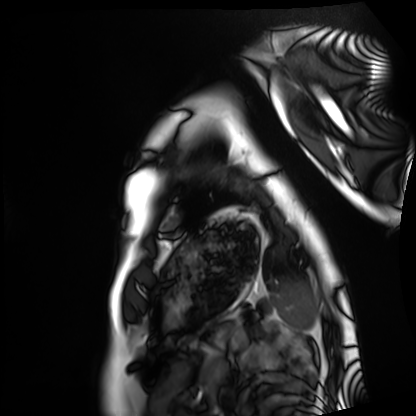
Case summary: Cardiac MRI. Subject group: healthy volunteer.